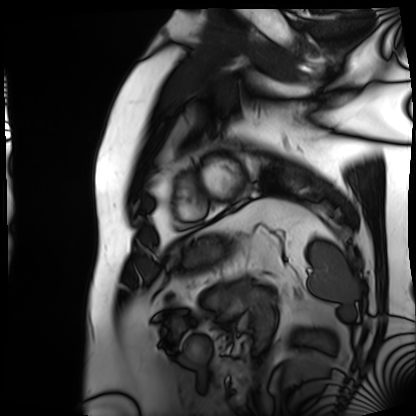
{"modality": "cardiac MRI", "cohort": "patient"}